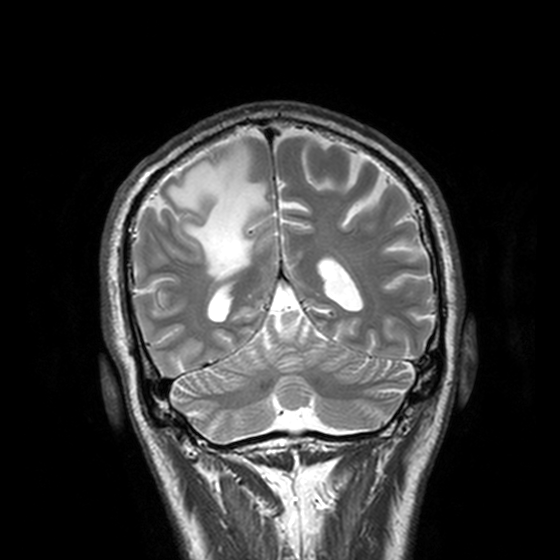
Clinical context:
3 Tesla brain MRI. Series: T2-weighted turbo spin echo, 3 mm. Study: ring-enhancing brain masses.